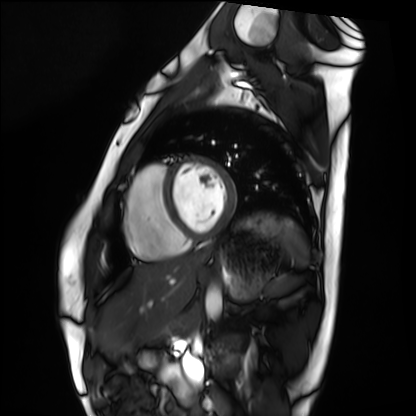
Cardiac MRI. Subject group: healthy volunteer.